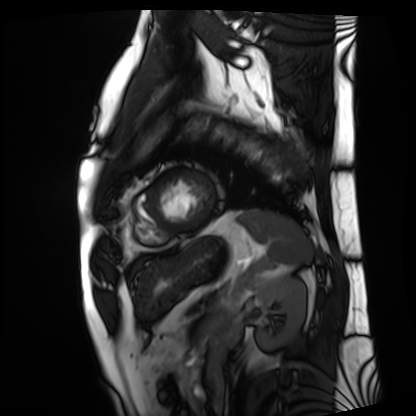
Q: What kind of scan is this?
A: Cardiac MRI.
Subject group: patient.